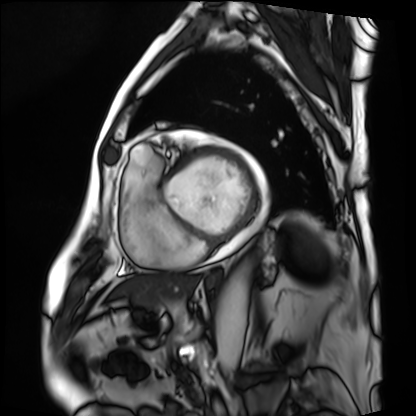
modality: cardiac MRI | subject group: patient.